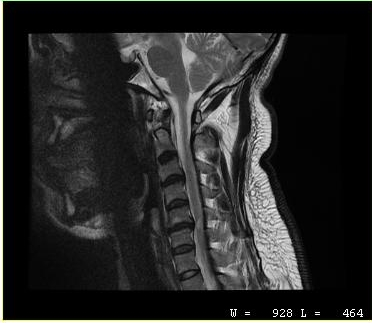
MRI of the cervical spine.
Study: cervical spondylosis.